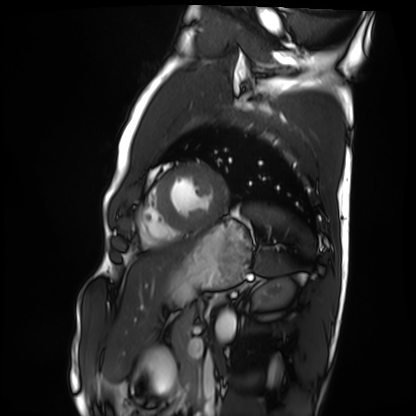
modality = cardiac MRI; subject group = healthy volunteer.